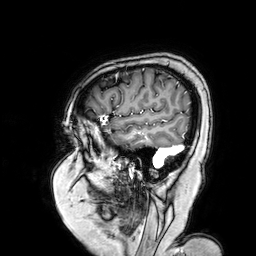
modality = 3 Tesla brain MRI
series = 3D T1-weighted turbo field echo with SENSE
study = ring-enhancing brain masses